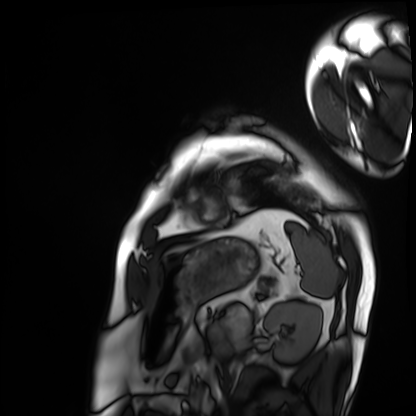
Cardiac MRI. Subject group: patient.